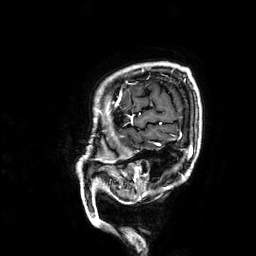
3 Tesla brain MRI.
Series: 3D T1-weighted.
Study: ring-enhancing brain masses.